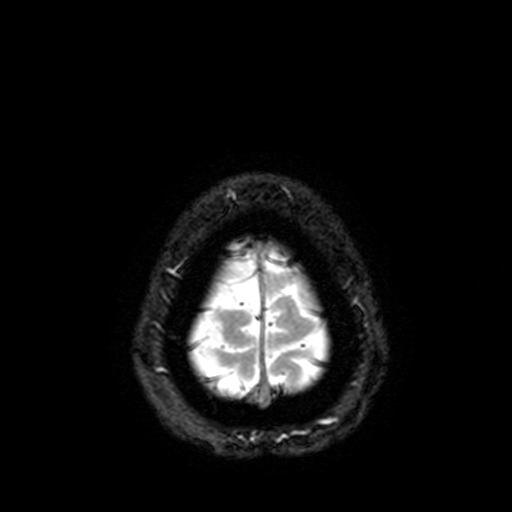
<scan>
<modality>
  <type>brain MRI</type>
  <field_strength>3T</field_strength>
</modality>
<series>T2-weighted fast field echo with SENSE</series>
<study_topic>ring-enhancing brain masses</study_topic>
</scan>